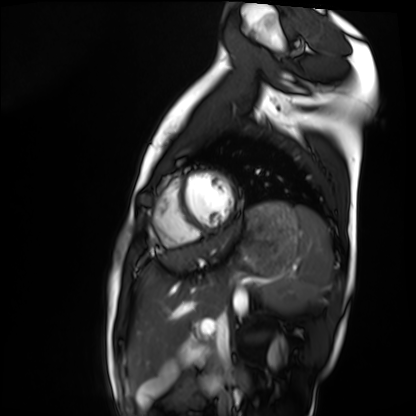
modality: cardiac MRI | subject group: healthy volunteer.